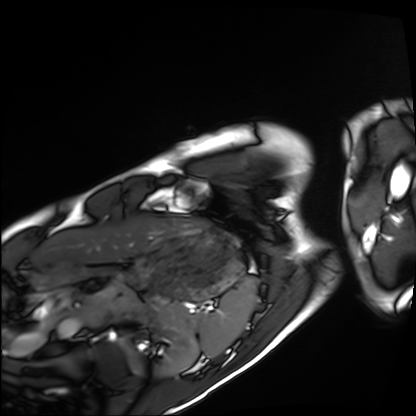
{"modality": "cardiac MRI", "cohort": "healthy volunteer"}